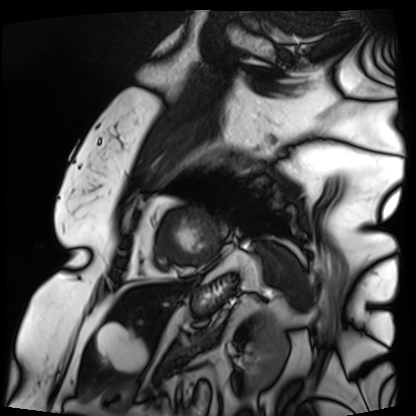
Cardiac MRI.
Subject group: patient.